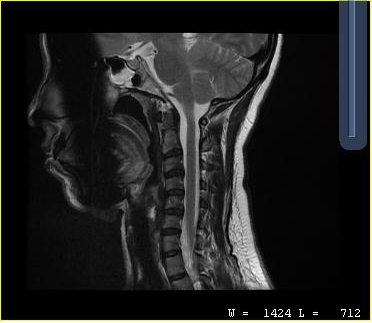
• modality — MRI of the cervical spine
• study — cervical spondylosis